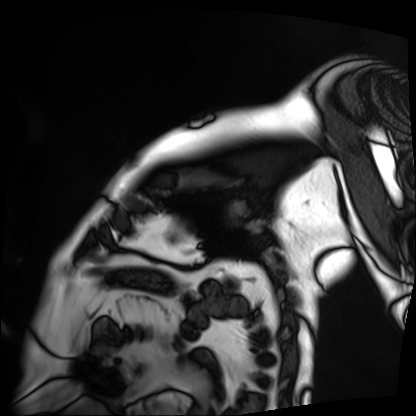
Cardiac MRI.
Subject group: patient.